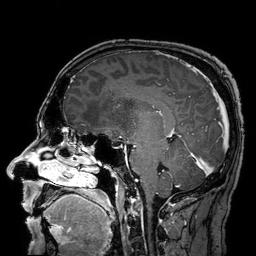
Case summary:
3 Tesla brain MRI. Series: 3D T1-weighted turbo field echo with SENSE. Study: ring-enhancing brain masses.